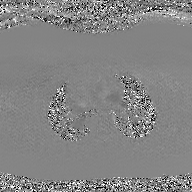
Summary:
2D phase-contrast cine MRI of the ascending aorta, GAN super-resolution reconstruction.